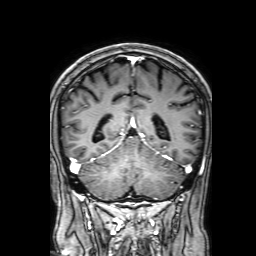
{
  "modality": {
    "type": "brain MRI",
    "field_strength": "3T"
  },
  "series": "3D T1-weighted with SENSE",
  "study_topic": "ring-enhancing brain masses"
}